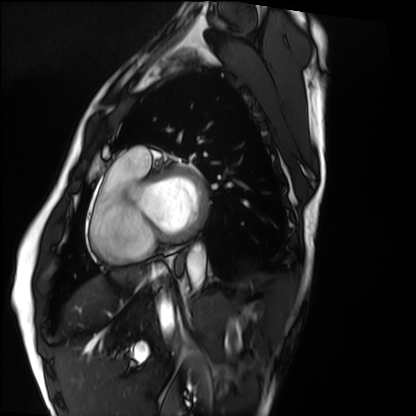
Cardiac MRI.
Subject group: healthy volunteer.